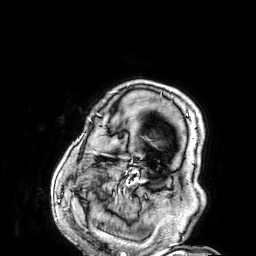
3 Tesla brain MRI. Series: 3D T1-weighted. Study: ring-enhancing brain masses.